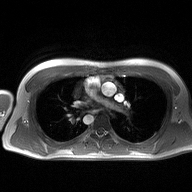
Summary:
2D phase-contrast cine MRI of the ascending aorta, high-resolution GRAPPA acquisition.